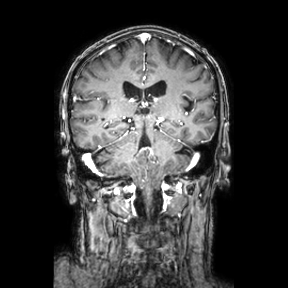
modality: 3 Tesla brain MRI; series: coronal; study: ring-enhancing brain masses.